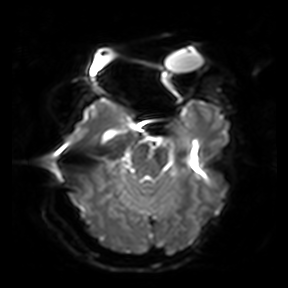
<case>
<modality>
  <type>brain MRI</type>
  <field_strength>3T</field_strength>
</modality>
<series>diffusion-weighted imaging</series>
<study_topic>ring-enhancing brain masses</study_topic>
</case>